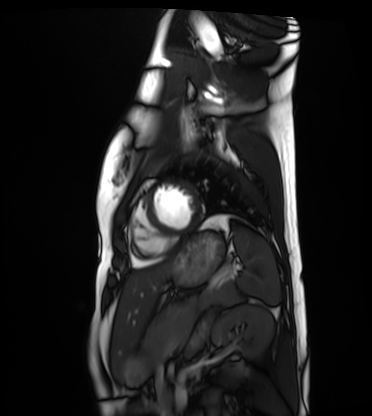
* modality — cardiac MRI
* subject group — healthy volunteer